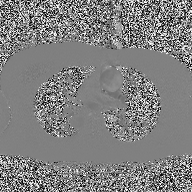
2D phase-contrast cine MRI of the ascending aorta, high-resolution GRAPPA acquisition.